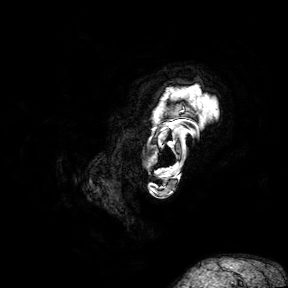
modality=3 Tesla brain MRI; series=3D T1-weighted turbo field echo with SENSE; study=ring-enhancing brain masses.